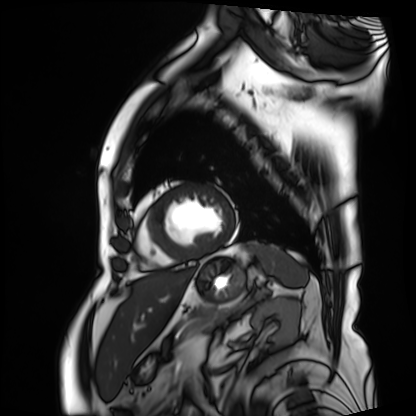
Clinical context:
Cardiac MRI. Subject group: patient.